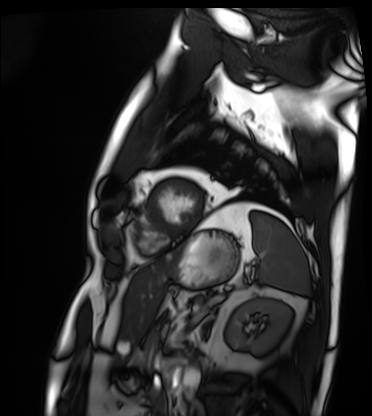
  modality: cardiac MRI
  cohort: patient